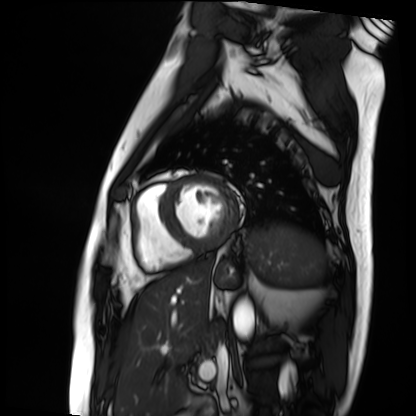
Summary:
Cardiac MRI. Subject group: patient.